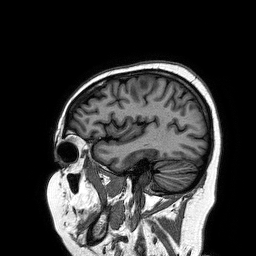
modality — 3 Tesla brain MRI | series — 3D T1-weighted turbo field echo | study — ring-enhancing brain masses.